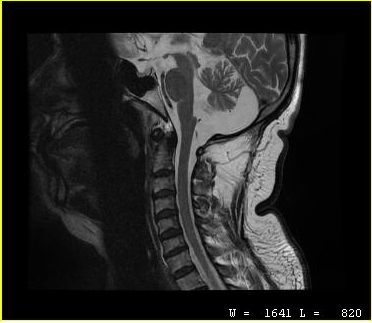
{"modality": {"type": "cervical spine MRI"}, "study_topic": "cervical spondylosis"}